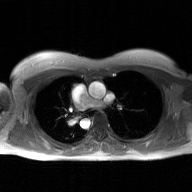
modality: 2D phase-contrast cine MRI of the ascending aorta, GAN super-resolution reconstruction